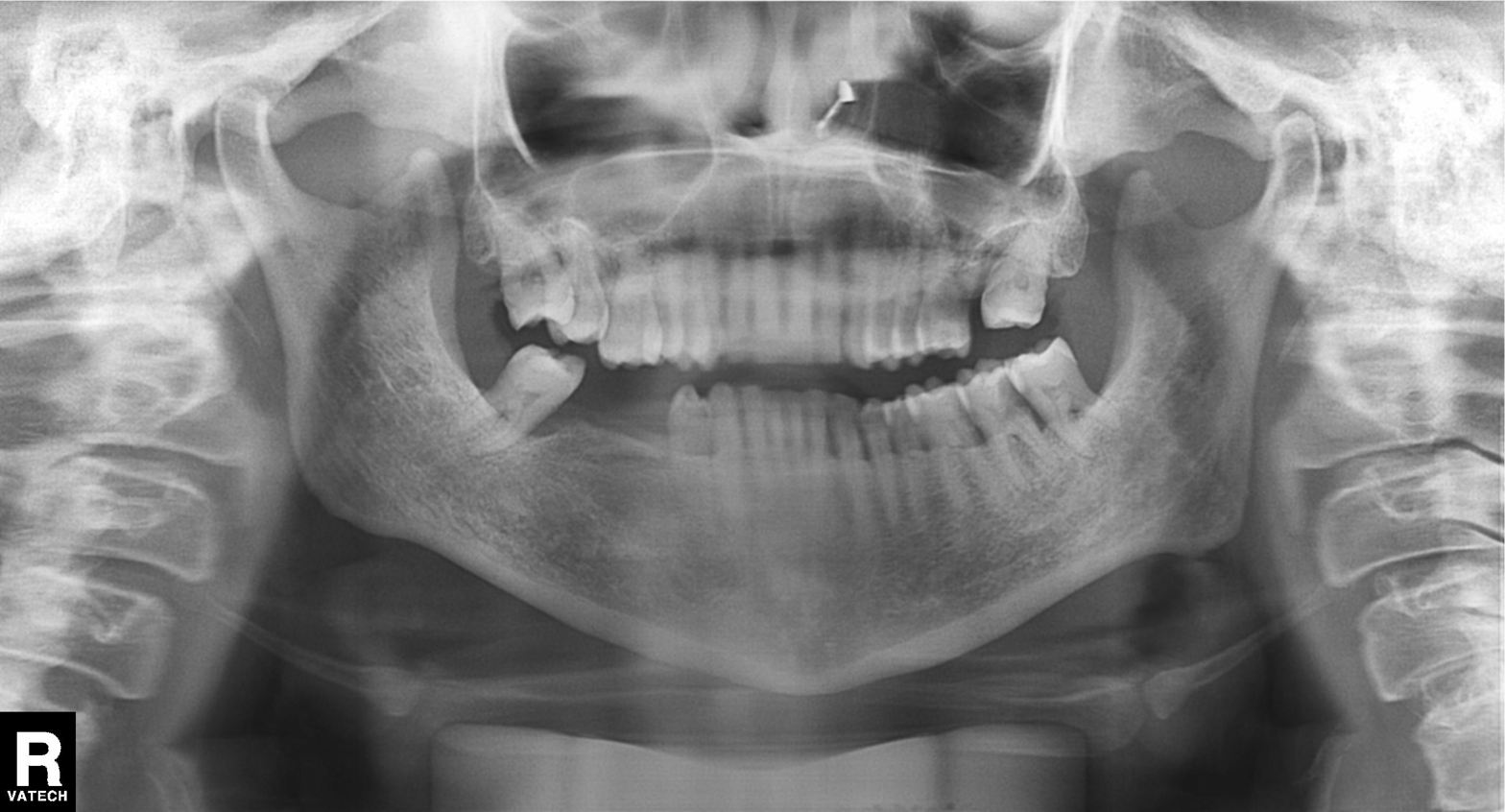
modality: panoramic dental radiograph (orthopantomogram)
finding: tooth impaction